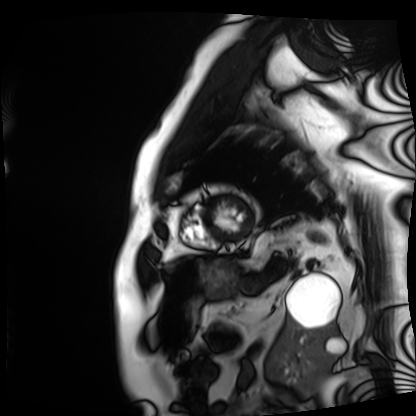
Cardiac MRI.
Subject group: patient.